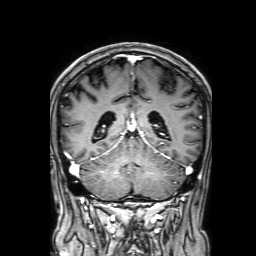
| field | value |
|---|---|
| modality | 3 Tesla brain MRI |
| series | 3D T1-weighted with SENSE |
| study | ring-enhancing brain masses |